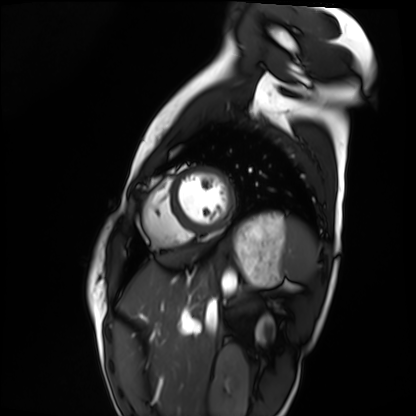
Cardiac MRI. Subject group: healthy volunteer.